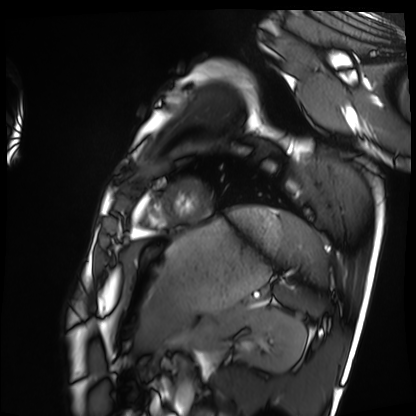
* modality: cardiac MRI
* subject group: healthy volunteer